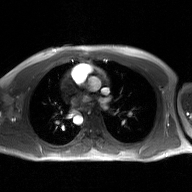
2D phase-contrast cine MRI of the ascending aorta, GAN super-resolution reconstruction.